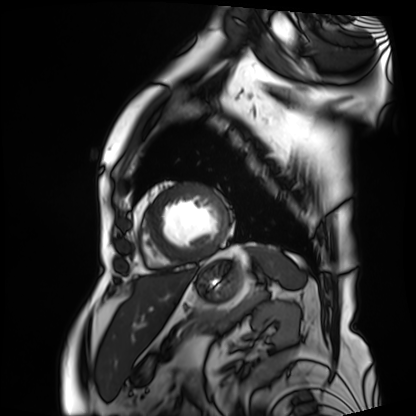
| field | value |
|---|---|
| modality | cardiac MRI |
| subject group | patient |